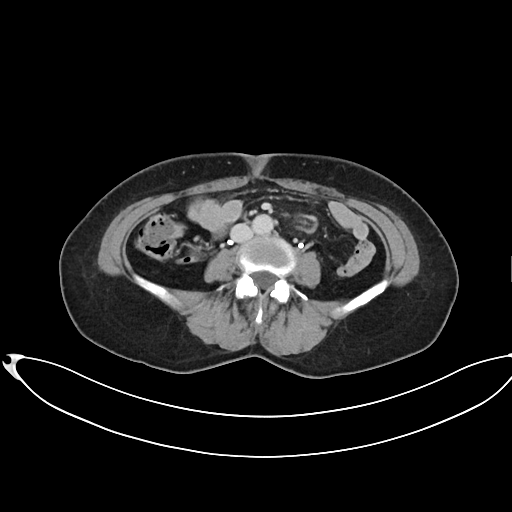
Clinical context:
Multiphase abdominal CT, liver, delayed phase. Patient: female, age 60.